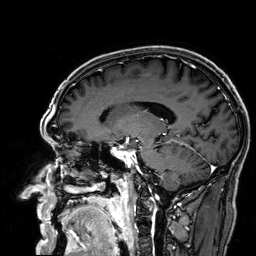
modality = 3 Tesla brain MRI; series = 3D T1-weighted; study = ring-enhancing brain masses.